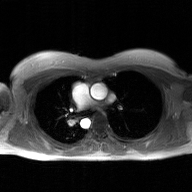
2D phase-contrast cine MRI of the ascending aorta, GAN super-resolution reconstruction.